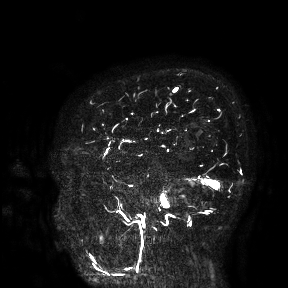
Case:
- modality: 3 Tesla brain MRI
- study: ring-enhancing brain masses